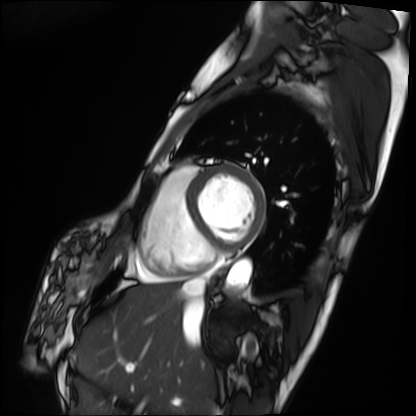
{"modality": "cardiac MRI", "cohort": "patient"}